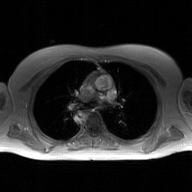
2D phase-contrast cine MRI of the ascending aorta, GAN super-resolution reconstruction.